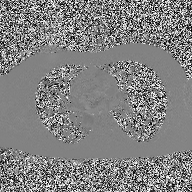
Case summary: 2D phase-contrast cine MRI of the ascending aorta, high-resolution GRAPPA acquisition.